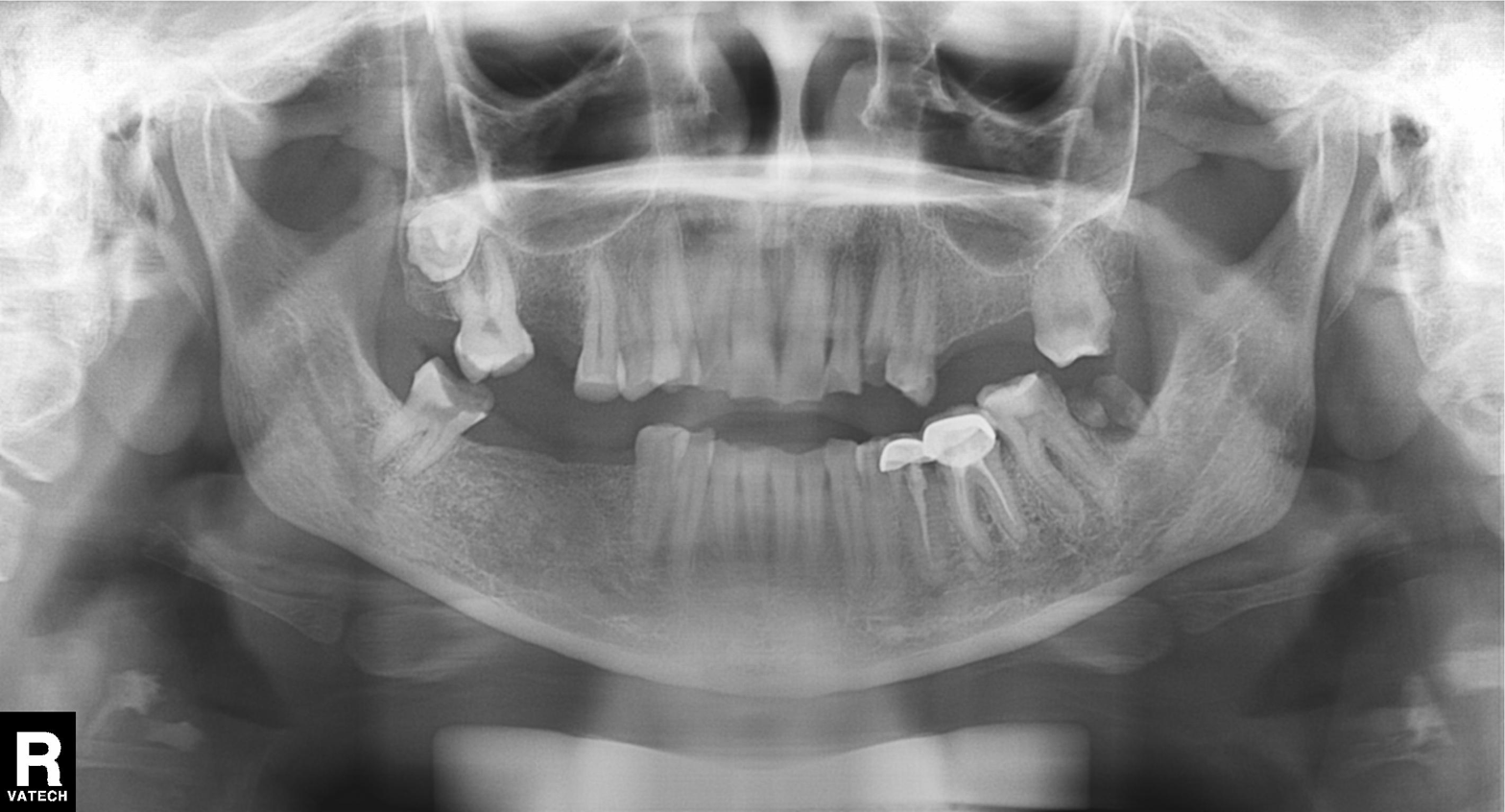
Clinical context:
Panoramic dental radiograph (orthopantomogram).
Impression:
Dental caries (cavities).